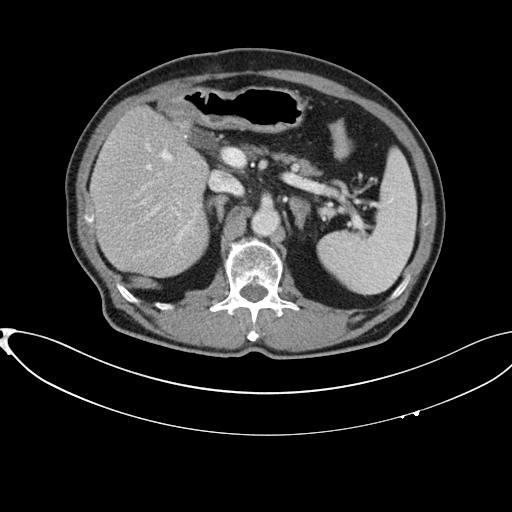
Summary:
Multiphase abdominal CT, liver, portal venous phase. Patient: male, age 75.